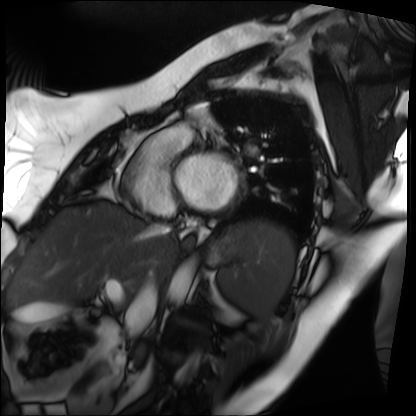
Case:
– modality — cardiac MRI
– subject group — patient